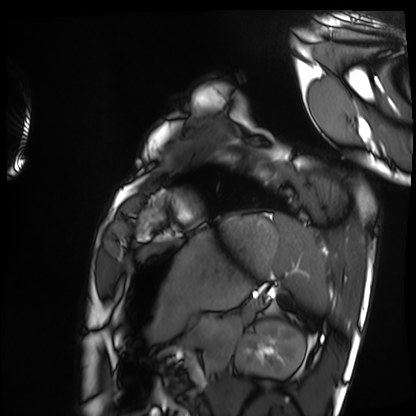
Summary: Cardiac MRI. Subject group: healthy volunteer.